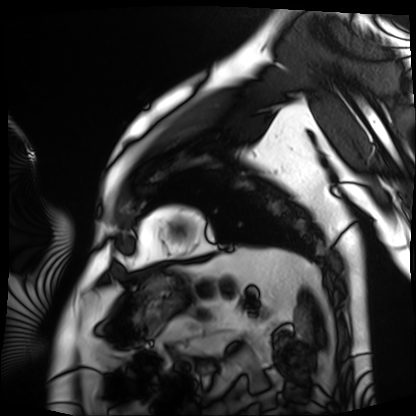
{
  "modality": "cardiac MRI",
  "cohort": "patient"
}